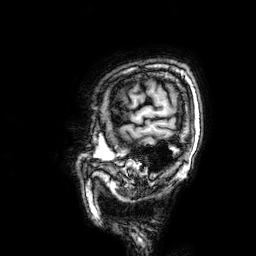
3 Tesla brain MRI.
Series: 3D T1-weighted.
Study: ring-enhancing brain masses.